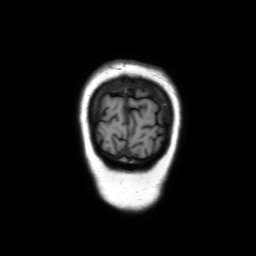
modality — 3 Tesla brain MRI; series — coronal without contrast; study — ring-enhancing brain masses.